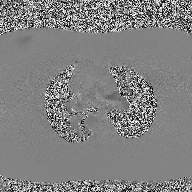
Clinical context: 2D phase-contrast cine MRI of the ascending aorta, high-resolution GRAPPA acquisition.